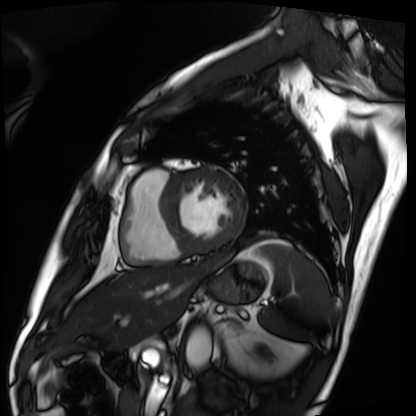
Cardiac MRI. Subject group: patient.